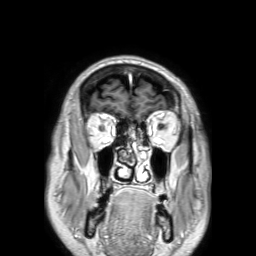
Clinical context:
3 Tesla brain MRI. Series: 3D T1-weighted TFE with SENSE. Study: ring-enhancing brain masses.